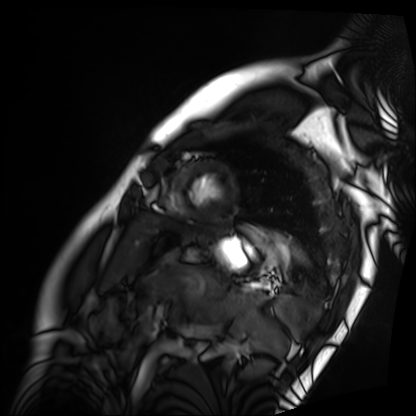
- modality · cardiac MRI
- subject group · patient